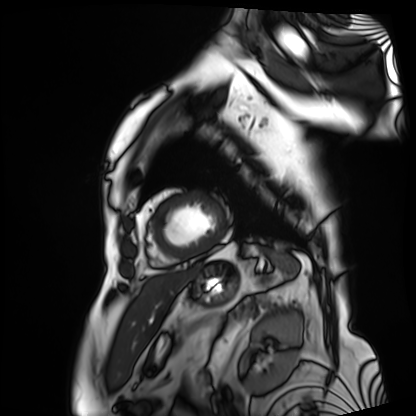
Summary: Cardiac MRI. Subject group: patient.